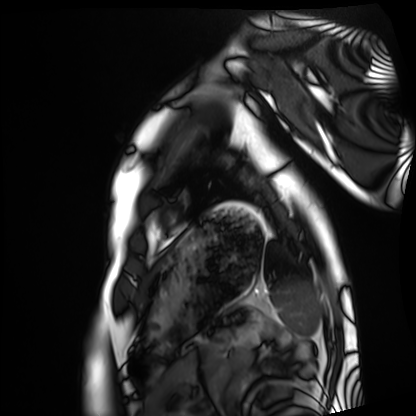
Clinical context:
Cardiac MRI. Subject group: healthy volunteer.